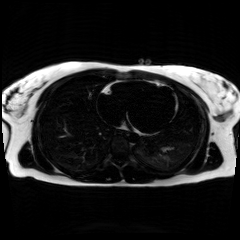
* modality: chemical-shift-encoded cardiac MRI